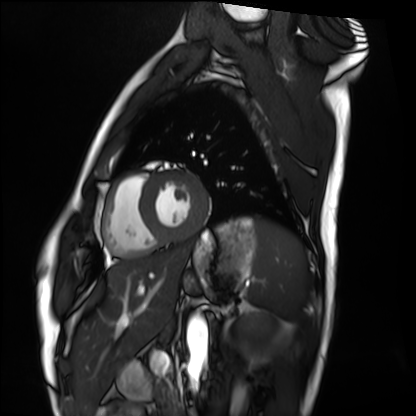
| field | value |
|---|---|
| modality | cardiac MRI |
| subject group | healthy volunteer |